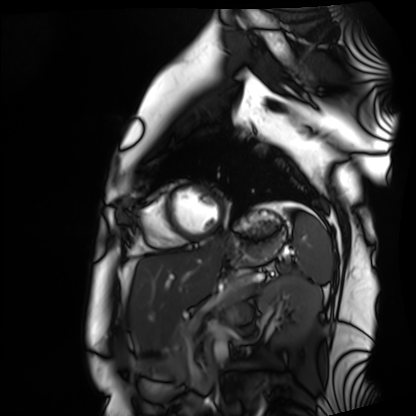
Q: What kind of scan is this?
A: Cardiac MRI.
Subject group: healthy volunteer.